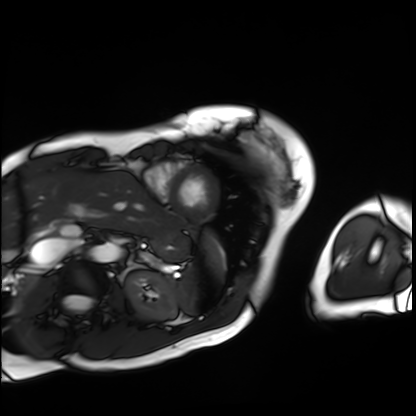
Case summary: Cardiac MRI. Subject group: patient.